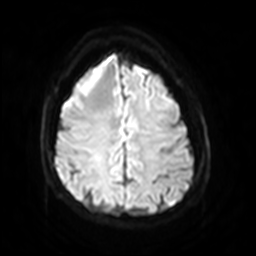
Q: What kind of scan is this?
A: 3 Tesla brain MRI.
Q: Series?
A: Diffusion-weighted imaging with SENSE (WIP).
Study: ring-enhancing brain masses.